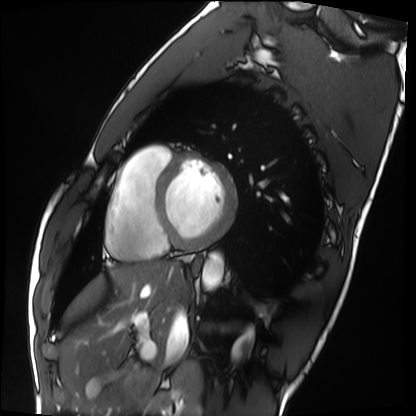
Q: What kind of scan is this?
A: Cardiac MRI.
Subject group: healthy volunteer.